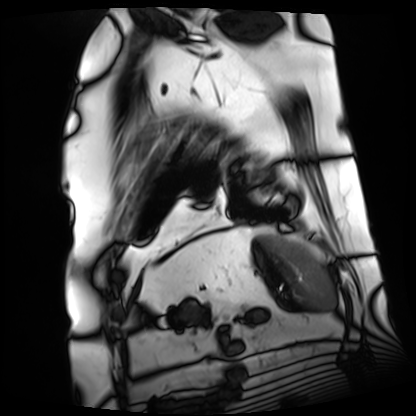
  modality: cardiac MRI
  cohort: patient